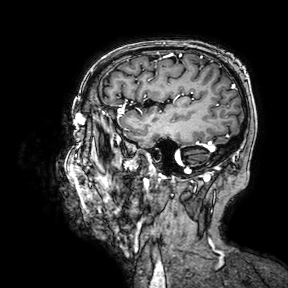
Clinical context:
3 Tesla brain MRI. Series: 3D T1-weighted turbo field echo with SENSE. Study: ring-enhancing brain masses.